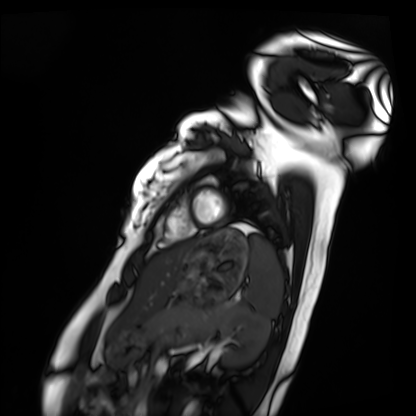
  modality: cardiac MRI
  cohort: healthy volunteer